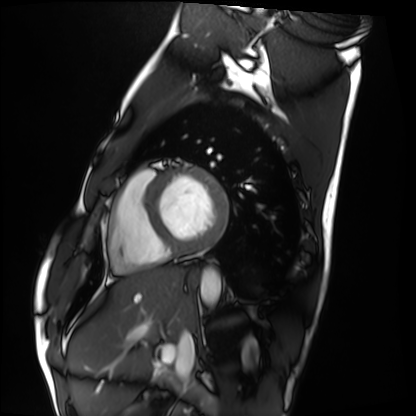
Q: What kind of scan is this?
A: Cardiac MRI.
Subject group: healthy volunteer.